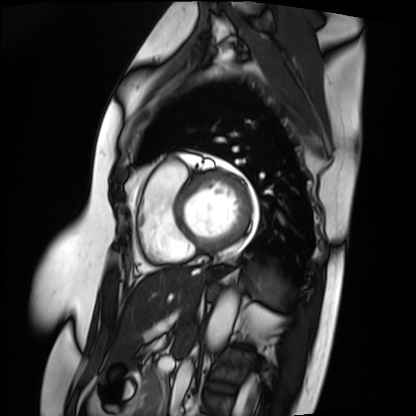
modality — cardiac MRI | subject group — patient.